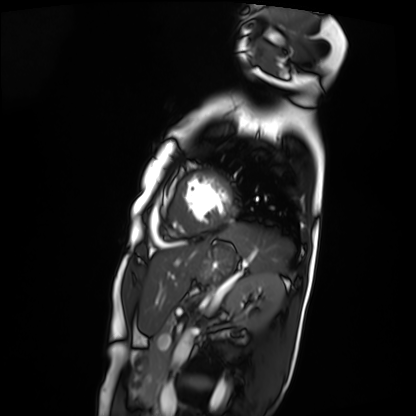
modality = cardiac MRI | subject group = patient.